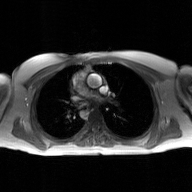
| field | value |
|---|---|
| modality | 2D phase-contrast cine MRI of the ascending aorta, GAN super-resolution reconstruction |